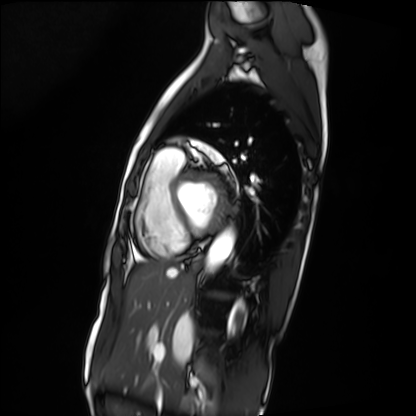
Q: What kind of scan is this?
A: Cardiac MRI.
Subject group: patient.